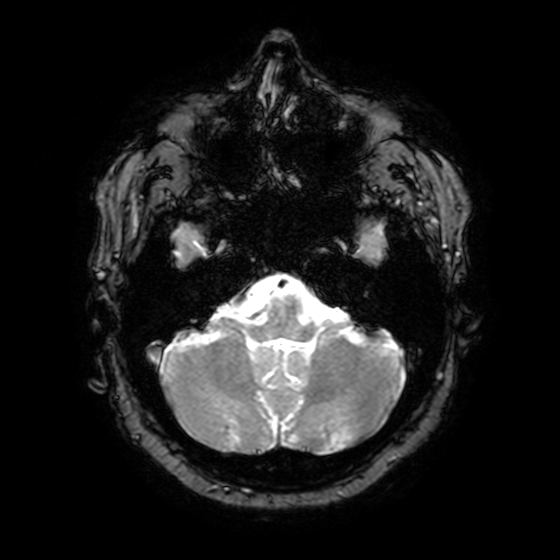
Summary:
3 Tesla brain MRI. Series: T2-weighted fast field echo with SENSE. Study: ring-enhancing brain masses.